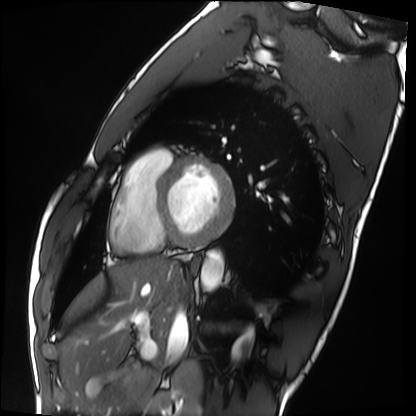
Case summary: Cardiac MRI. Subject group: healthy volunteer.